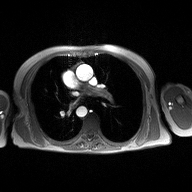
Q: What kind of scan is this?
A: 2D phase-contrast cine MRI of the ascending aorta.